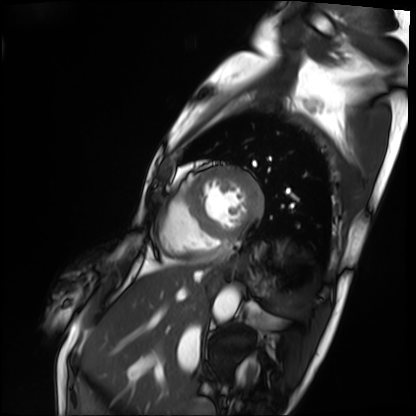
{
  "modality": "cardiac MRI",
  "cohort": "patient"
}